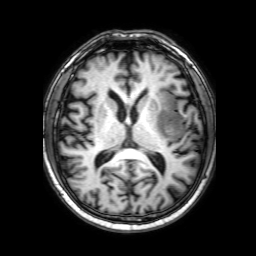
<case>
<modality>
  <type>brain MRI</type>
  <field_strength>3T</field_strength>
</modality>
<series>3D T1-weighted with SENSE</series>
<study_topic>ring-enhancing brain masses</study_topic>
</case>